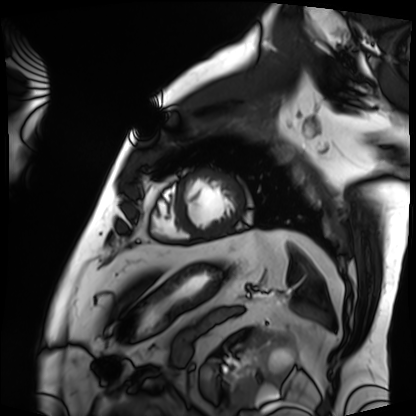
Case summary:
Cardiac MRI. Subject group: patient.